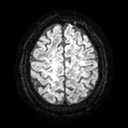
| field | value |
|---|---|
| modality | 3 Tesla brain MRI |
| series | diffusion tensor imaging (medium iso) |
| study | ring-enhancing brain masses |